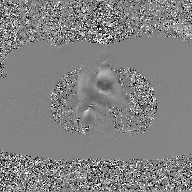
Q: What kind of scan is this?
A: 2D phase-contrast cine MRI of the ascending aorta, GAN super-resolution reconstruction.